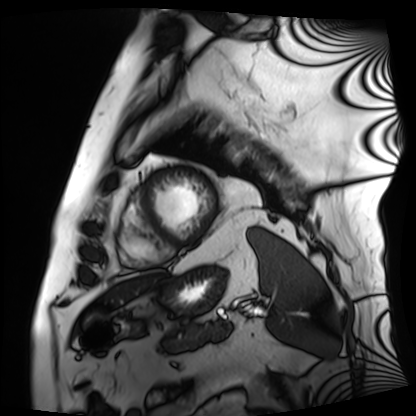
  modality: cardiac MRI
  cohort: patient